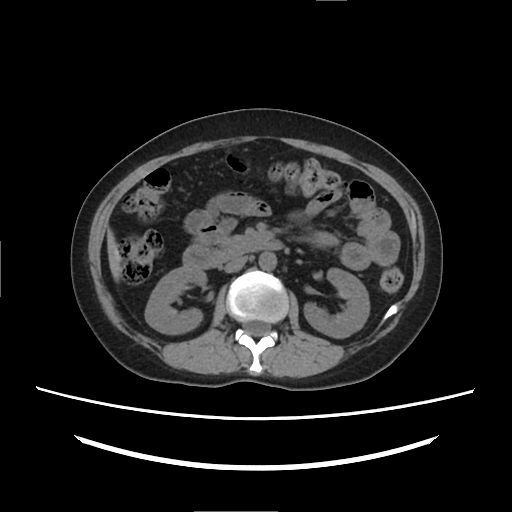
modality: multiphase abdominal CT, liver, non-contrast phase | patient: female, age 39.